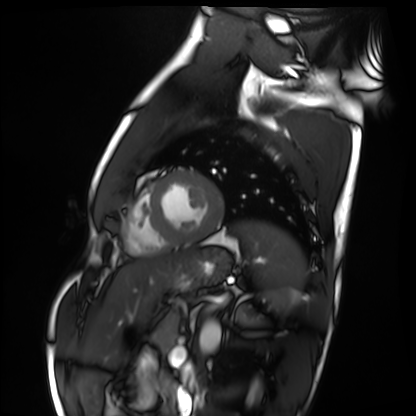
modality=cardiac MRI; subject group=healthy volunteer.